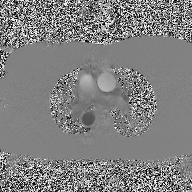
{
  "modality": {
    "type": "2D phase-contrast cine MRI",
    "region": "ascending aorta",
    "reconstruction": "high-resolution GRAPPA acquisition"
  }
}